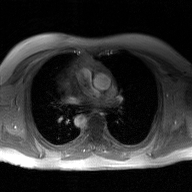
| field | value |
|---|---|
| modality | 2D phase-contrast cine MRI of the ascending aorta, GAN super-resolution reconstruction |